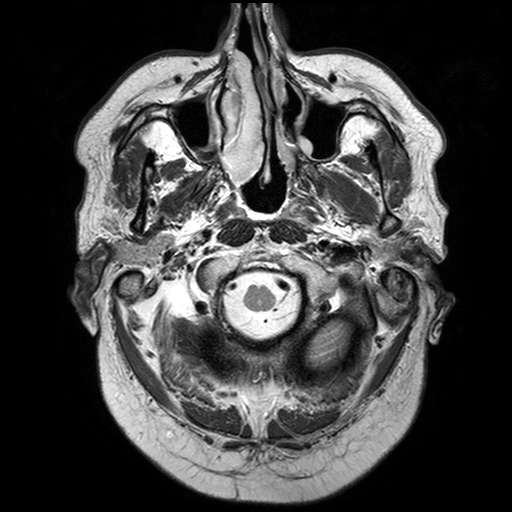
3 Tesla brain MRI. Series: T2-weighted turbo spin echo with SENSE. Study: ring-enhancing brain masses.